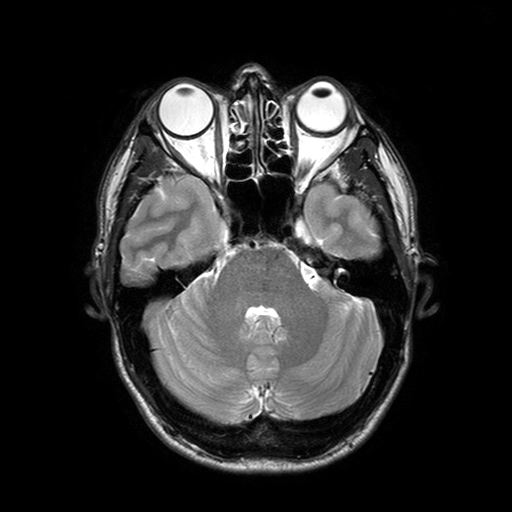
3 Tesla brain MRI. Series: T2-weighted turbo spin echo with SENSE. Study: ring-enhancing brain masses.